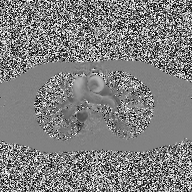
2D phase-contrast cine MRI of the ascending aorta, high-resolution GRAPPA acquisition.